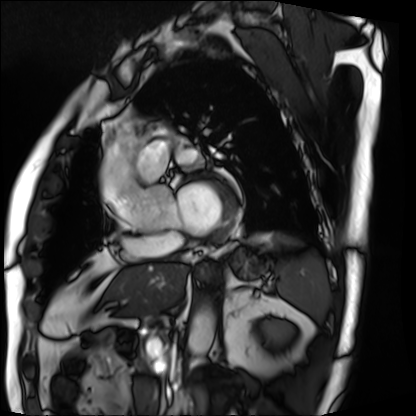
Cardiac MRI. Subject group: patient.